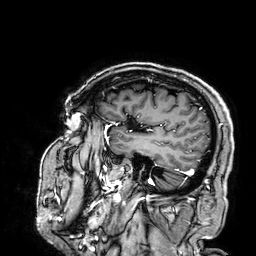
3 Tesla brain MRI. Series: 3D T1-weighted. Study: ring-enhancing brain masses.